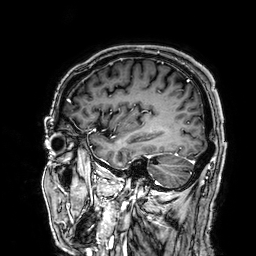
Summary: 3 Tesla brain MRI. Series: 3D T1-weighted. Study: ring-enhancing brain masses.